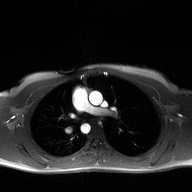
Case:
– modality — 2D phase-contrast cine MRI of the ascending aorta